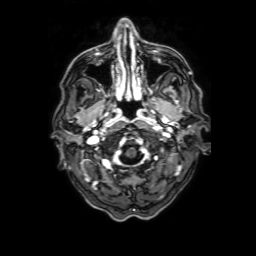
3 Tesla brain MRI. Study: ring-enhancing brain masses.